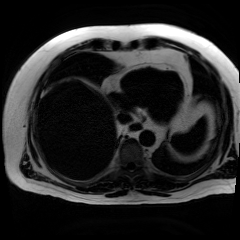
Clinical context: Chemical-shift-encoded cardiac MRI.